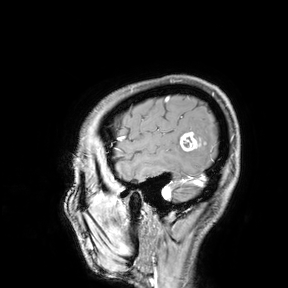
Summary:
3 Tesla brain MRI. Study: ring-enhancing brain masses.